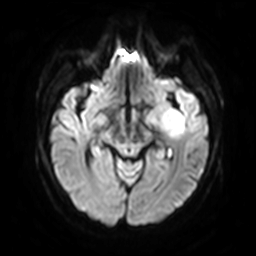
modality: 3 Tesla brain MRI; series: diffusion-weighted imaging with SENSE (WIP); study: ring-enhancing brain masses.